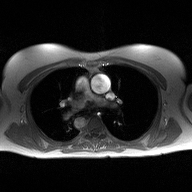
modality = 2D phase-contrast cine MRI of the ascending aorta.